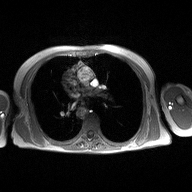
Case summary: 2D phase-contrast cine MRI of the ascending aorta, high-resolution GRAPPA acquisition.